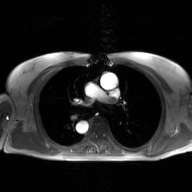
2D phase-contrast cine MRI of the ascending aorta, GAN super-resolution reconstruction.